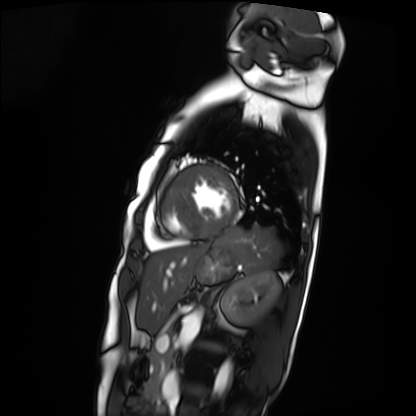
| field | value |
|---|---|
| modality | cardiac MRI |
| subject group | patient |